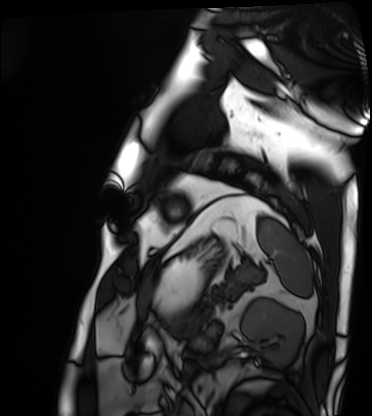
Summary:
Cardiac MRI. Subject group: patient.